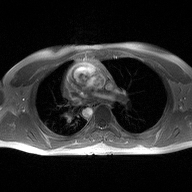
2D phase-contrast cine MRI of the ascending aorta, high-resolution GRAPPA acquisition.